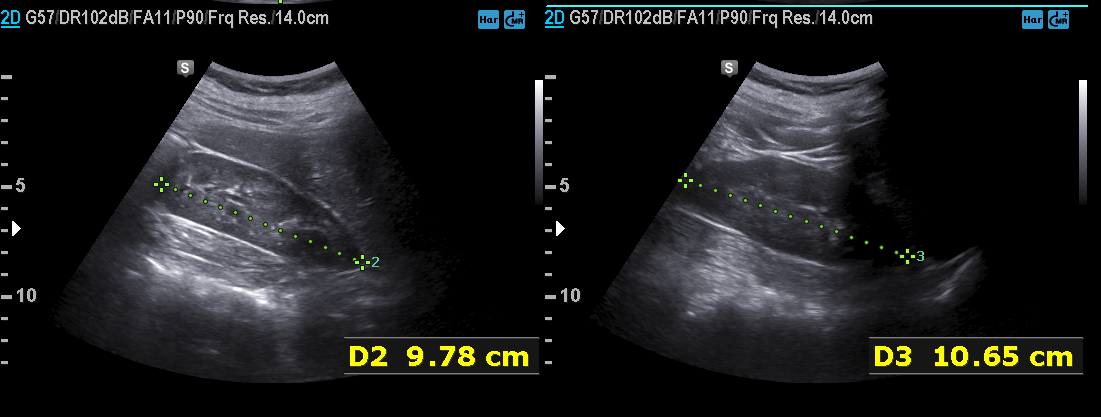
Genitourinary ultrasound.